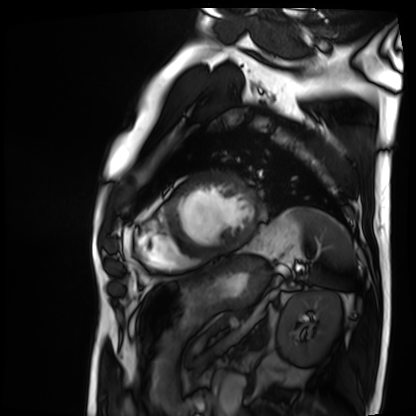
Summary:
Cardiac MRI. Subject group: patient.